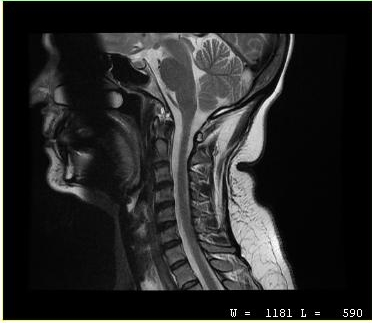
MRI of the cervical spine.
Study: cervical spondylosis.